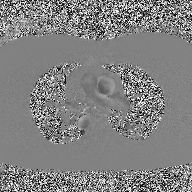
2D phase-contrast cine MRI of the ascending aorta, high-resolution GRAPPA acquisition.